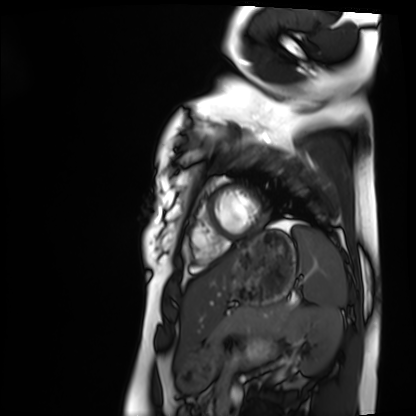
{"modality": "cardiac MRI", "cohort": "healthy volunteer"}